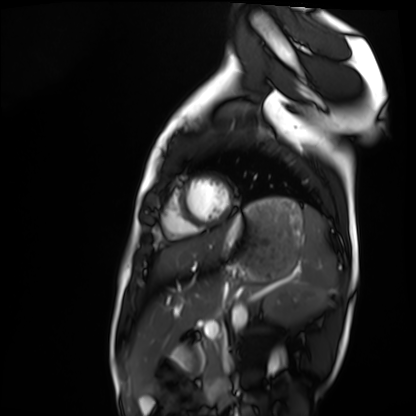
<scan>
  <modality>cardiac MRI</modality>
  <cohort>healthy volunteer</cohort>
</scan>